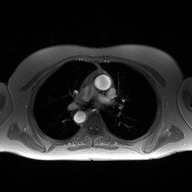
Q: What kind of scan is this?
A: 2D phase-contrast cine MRI of the ascending aorta.